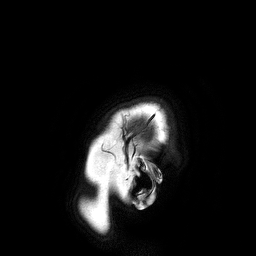
- modality: 3 Tesla brain MRI
- series: 3D T1-weighted turbo field echo
- study: ring-enhancing brain masses